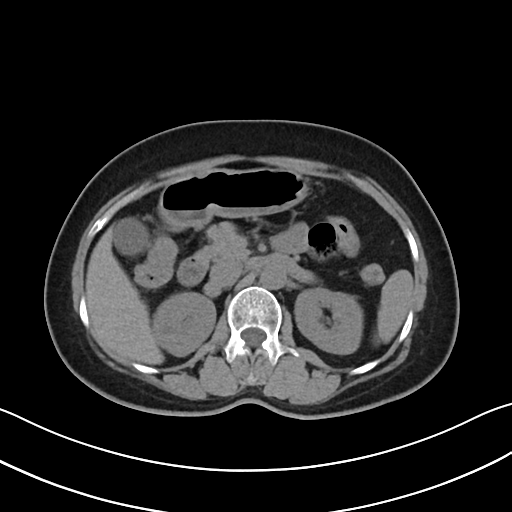
Q: What kind of scan is this?
A: Multiphase abdominal CT, liver, non-contrast phase.
Q: Patient?
A: Female, age 55.
Q: History?
A: Prior chemotherapy.